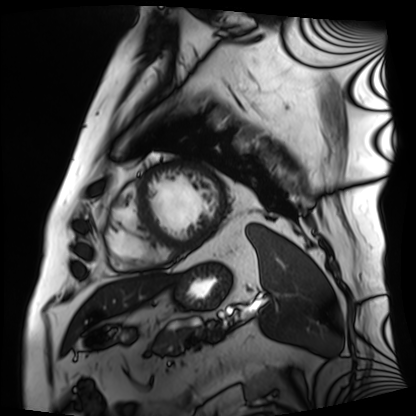
Clinical context: Cardiac MRI. Subject group: patient.